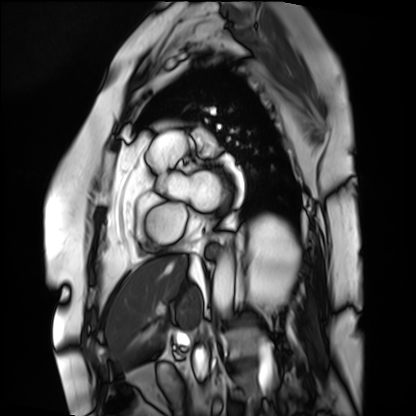
  modality: cardiac MRI
  cohort: patient